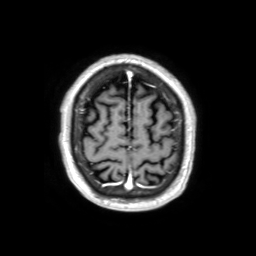
3 Tesla brain MRI.
Series: 3D T1-weighted TFE with SENSE.
Study: ring-enhancing brain masses.